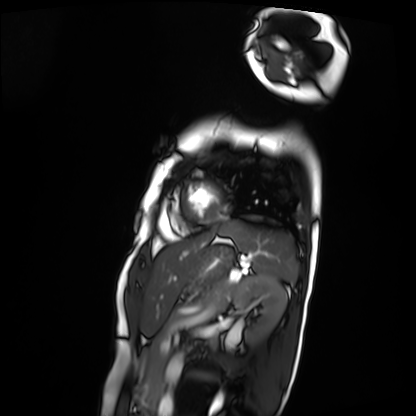
Cardiac MRI. Subject group: patient.